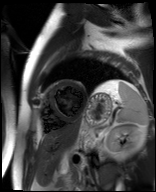
{"modality": "cardiac MR image of the myocardium", "cohort": "cardiac patient"}